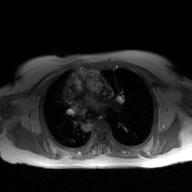
modality: 2D phase-contrast cine MRI of the ascending aorta, GAN super-resolution reconstruction.